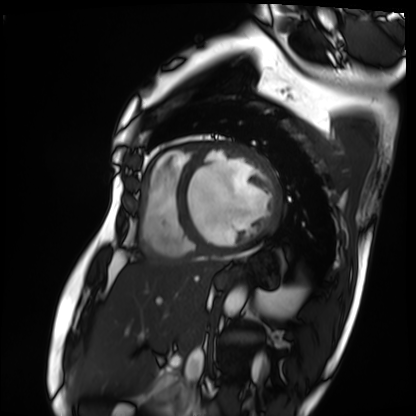
  modality: cardiac MRI
  cohort: patient